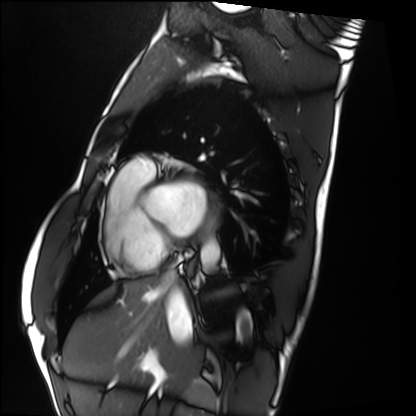
Clinical context:
Cardiac MRI. Subject group: healthy volunteer.